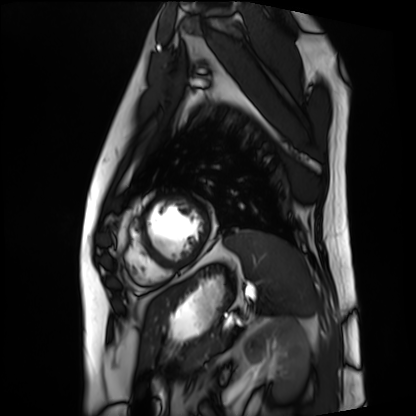
Case summary: Cardiac MRI. Subject group: patient.